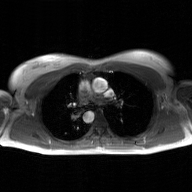
Case summary: 2D phase-contrast cine MRI of the ascending aorta, GAN super-resolution reconstruction.